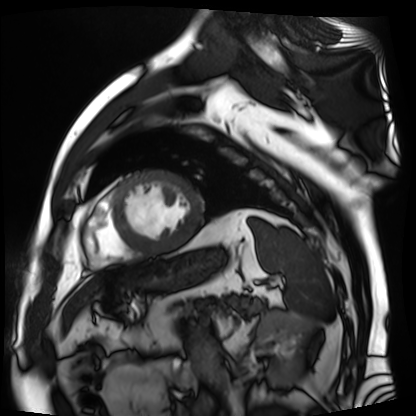
modality = cardiac MR image of the myocardium | subject cohort = cardiac patient.